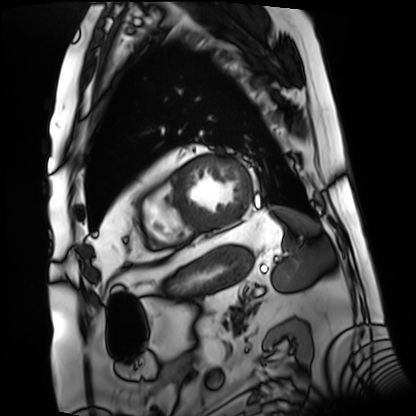
{"modality": "cardiac MRI", "cohort": "patient"}